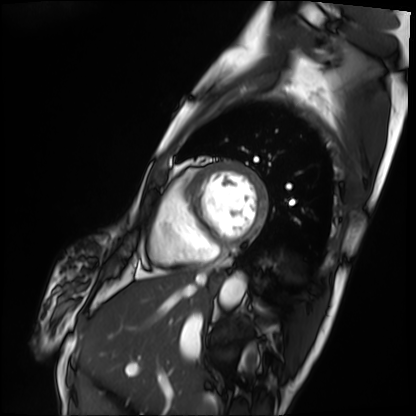
  modality: cardiac MRI
  cohort: patient